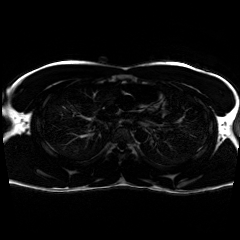
<scan>
<modality>chemical-shift-encoded cardiac MRI</modality>
</scan>